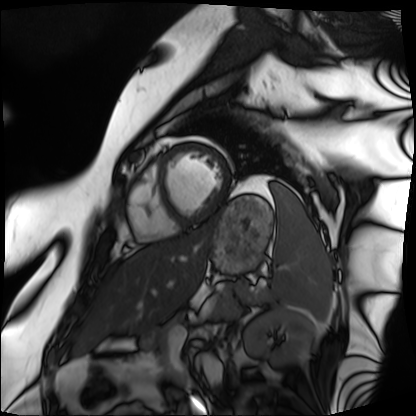
Cardiac MRI. Subject group: patient.